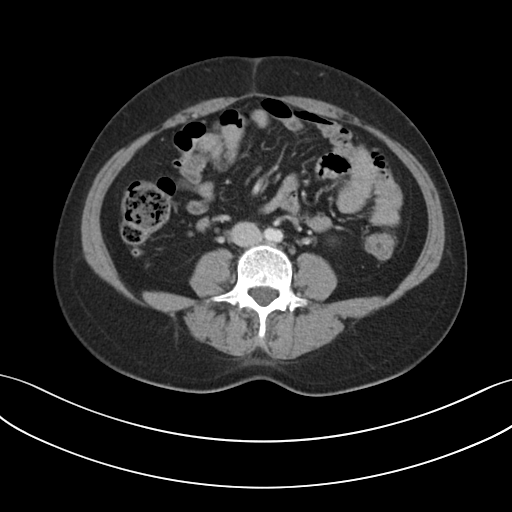
modality=multiphase abdominal CT, liver, portal venous phase | patient=female, age 44 | history=prior chemotherapy.